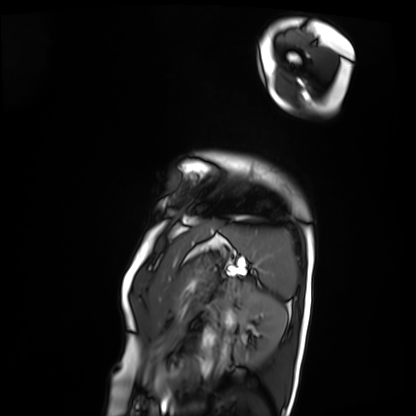
Summary:
Cardiac MRI. Subject group: patient.